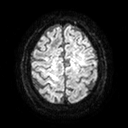
3 Tesla brain MRI. Series: diffusion tensor imaging (medium iso). Study: ring-enhancing brain masses.